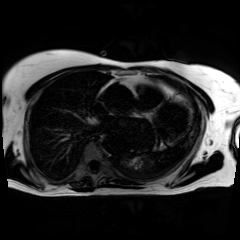
{
  "modality": "chemical-shift-encoded cardiac MRI"
}